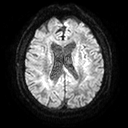
Q: What kind of scan is this?
A: 3 Tesla brain MRI.
Q: Series?
A: Diffusion tensor imaging (medium iso).
Study: ring-enhancing brain masses.